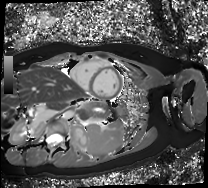
Case summary: Cardiac MR image of the myocardium. Subject cohort: healthy volunteer.